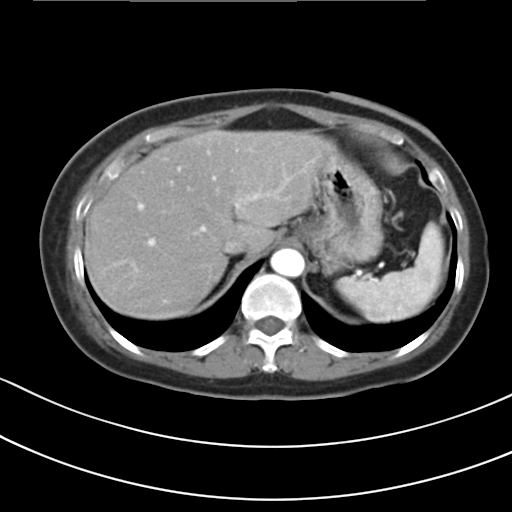
| field | value |
|---|---|
| modality | multiphase abdominal CT, liver, arterial phase |
| patient | female, age 54 |